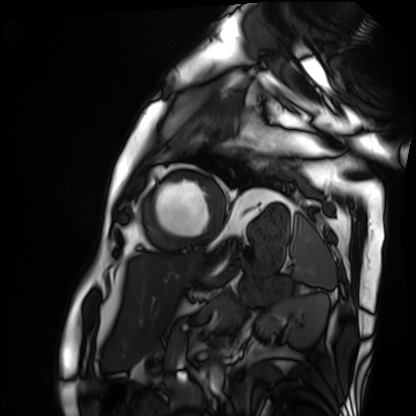
Clinical context:
Cardiac MRI. Subject group: patient.